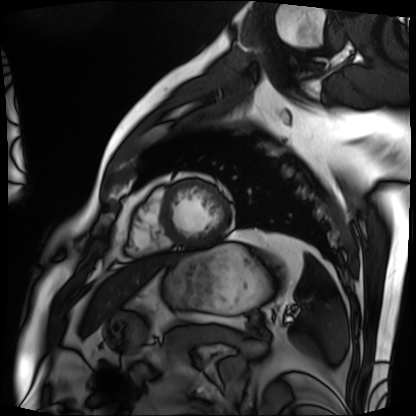
Cardiac MRI.
Subject group: patient.